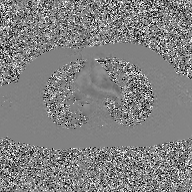
2D phase-contrast cine MRI of the ascending aorta, GAN super-resolution reconstruction.